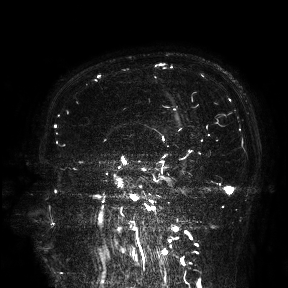
3 Tesla brain MRI.
Study: ring-enhancing brain masses.